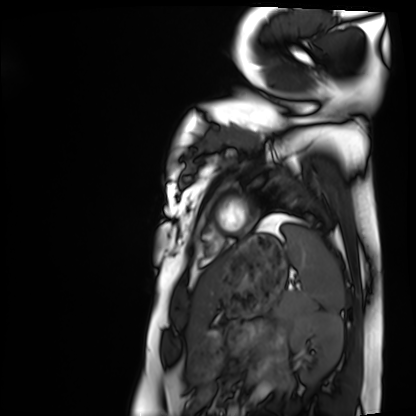
Clinical context:
Cardiac MRI. Subject group: healthy volunteer.